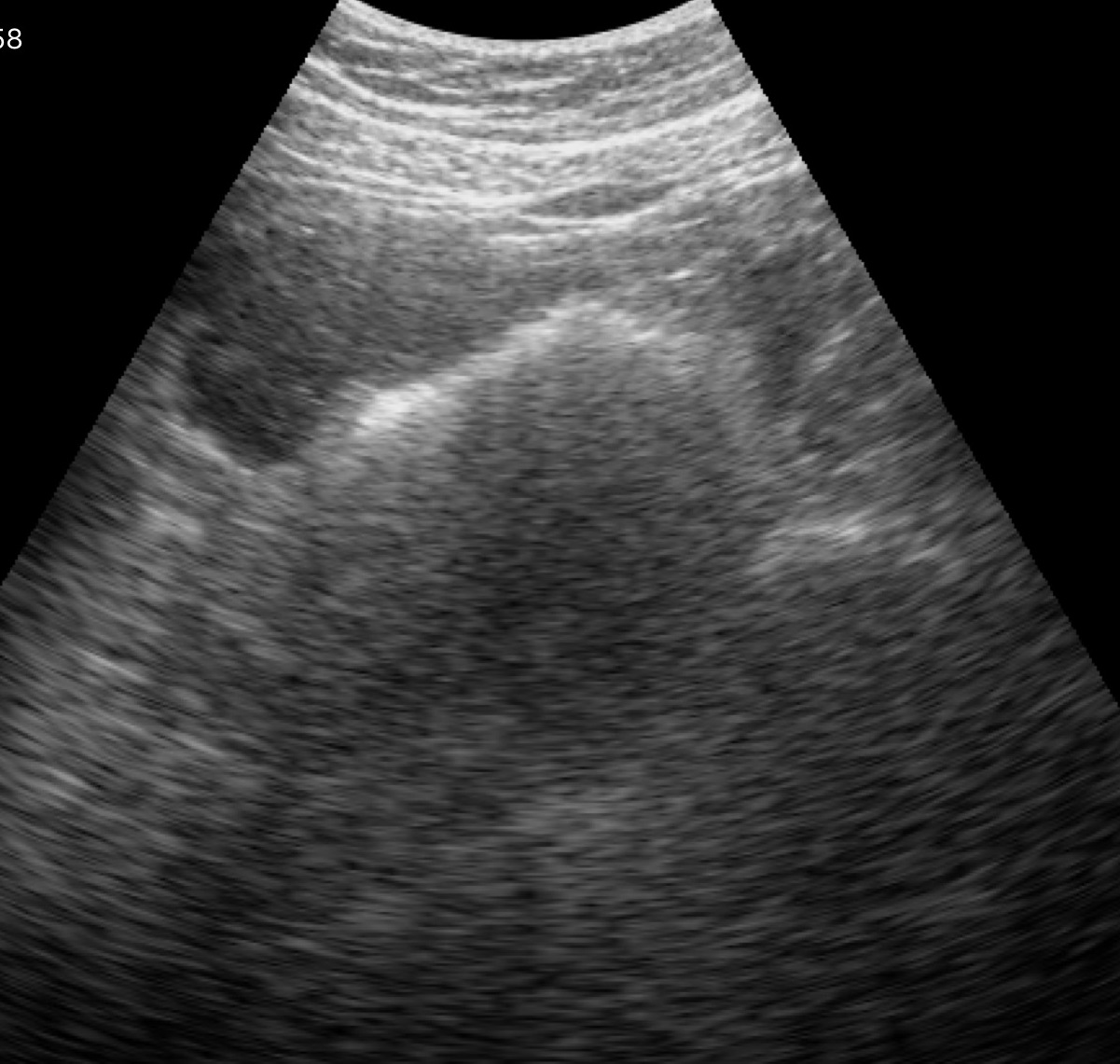
Summary: Genitourinary ultrasound.